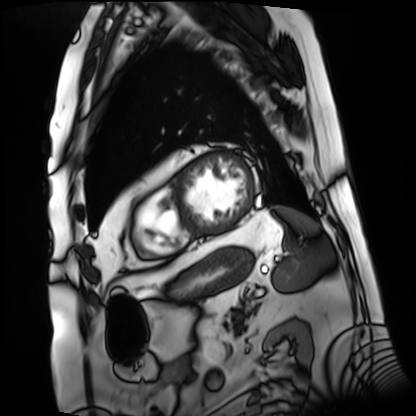
modality: cardiac MRI, subject group: patient.